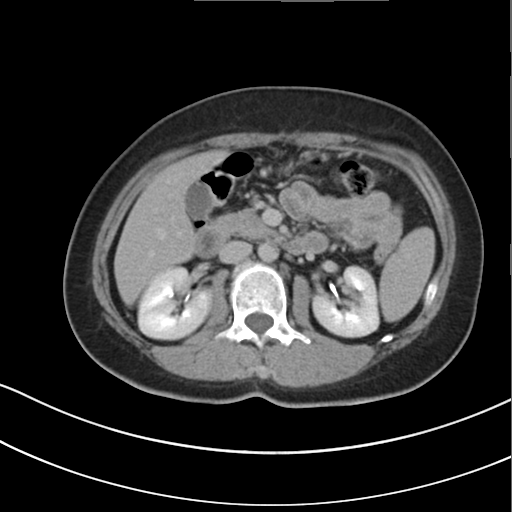
Clinical context:
Multiphase abdominal CT, liver, delayed phase. Patient: female, age 47.